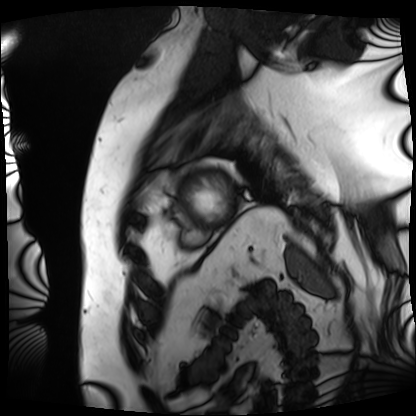
Q: What kind of scan is this?
A: Cardiac MRI.
Subject group: patient.